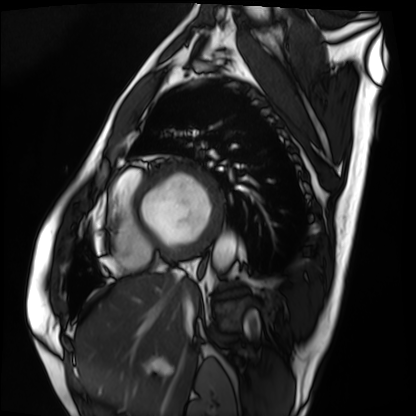
{"modality": "cardiac MRI", "cohort": "patient"}